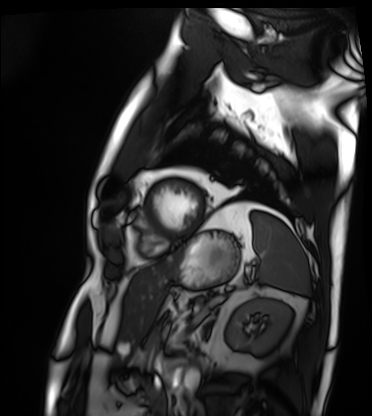
Q: What kind of scan is this?
A: Cardiac MRI.
Subject group: patient.